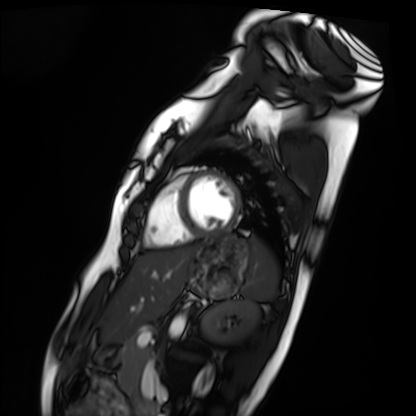
Summary: Cardiac MRI. Subject group: healthy volunteer.